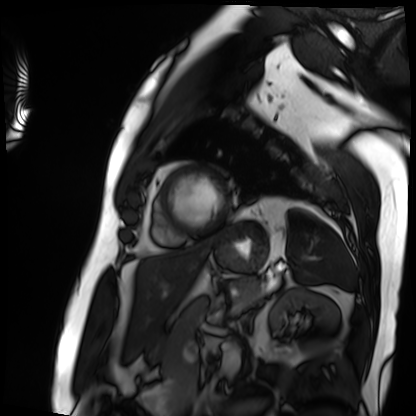
Cardiac MRI. Subject group: patient.